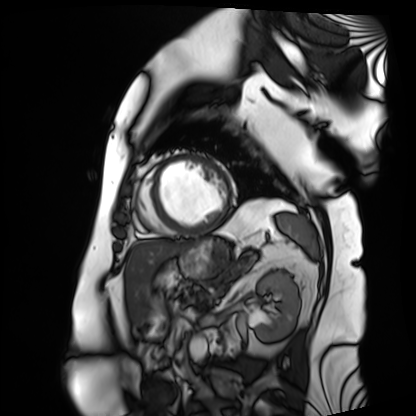
{"modality": "cardiac MRI", "cohort": "patient"}